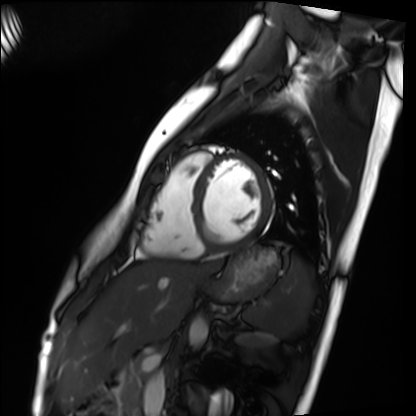
modality: cardiac MRI | subject group: healthy volunteer.